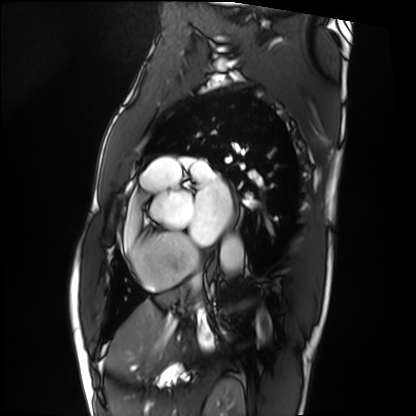
Cardiac MRI.
Subject group: patient.